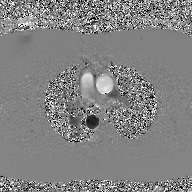
<case>
<modality>
  <type>2D phase-contrast cine MRI</type>
  <region>ascending aorta</region>
  <reconstruction>GAN super-resolution reconstruction</reconstruction>
</modality>
</case>